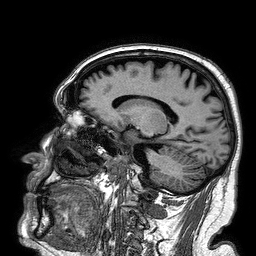
<scan>
  <modality>
    <type>brain MRI</type>
    <field_strength>3T</field_strength>
  </modality>
  <series>3D T1-weighted turbo field echo</series>
  <study_topic>ring-enhancing brain masses</study_topic>
</scan>